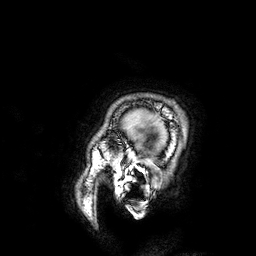
Clinical context:
3 Tesla brain MRI. Series: 3D T1-weighted. Study: ring-enhancing brain masses.